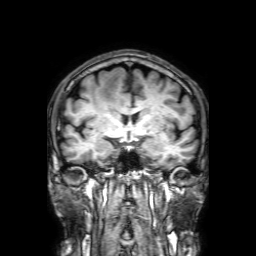
3 Tesla brain MRI. Series: 3D T1-weighted with SENSE. Study: ring-enhancing brain masses.